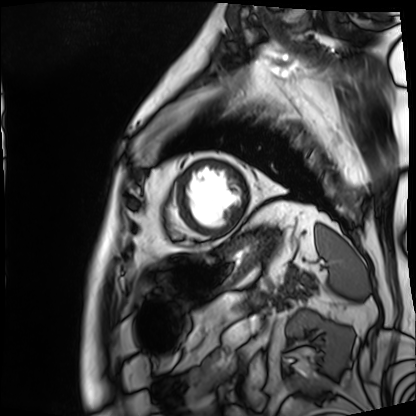
<case>
<modality>cardiac MRI</modality>
<cohort>patient</cohort>
</case>